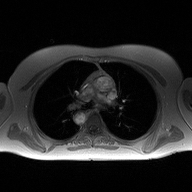
modality: 2D phase-contrast cine MRI of the ascending aorta